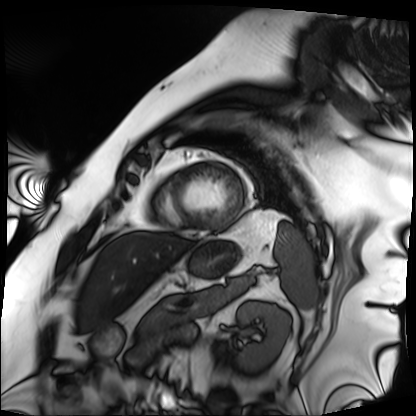
Summary: Cardiac MRI. Subject group: patient.